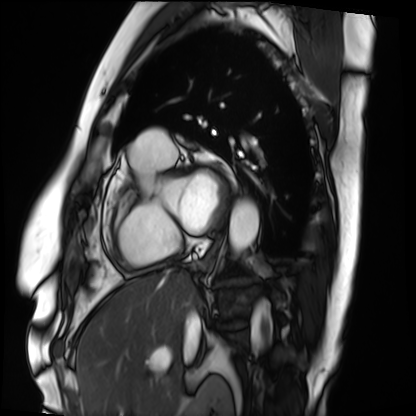
Cardiac MRI.
Subject group: patient.